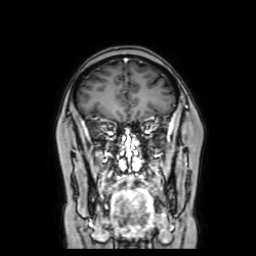
3 Tesla brain MRI. Series: coronal with contrast. Study: ring-enhancing brain masses.